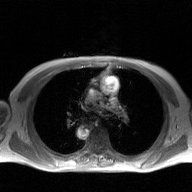
modality — 2D phase-contrast cine MRI of the ascending aorta, GAN super-resolution reconstruction.